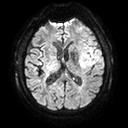
3 Tesla brain MRI.
Series: diffusion tensor imaging (medium iso).
Study: ring-enhancing brain masses.